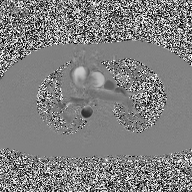
modality = 2D phase-contrast cine MRI of the ascending aorta.